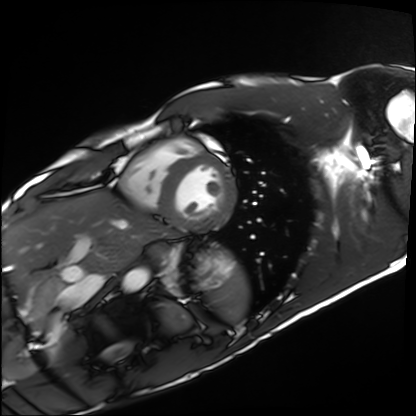
Clinical context:
Cardiac MRI. Subject group: healthy volunteer.